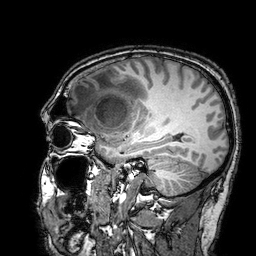
modality: 3 Tesla brain MRI | series: 3D T1-weighted turbo field echo with SENSE | study: ring-enhancing brain masses.